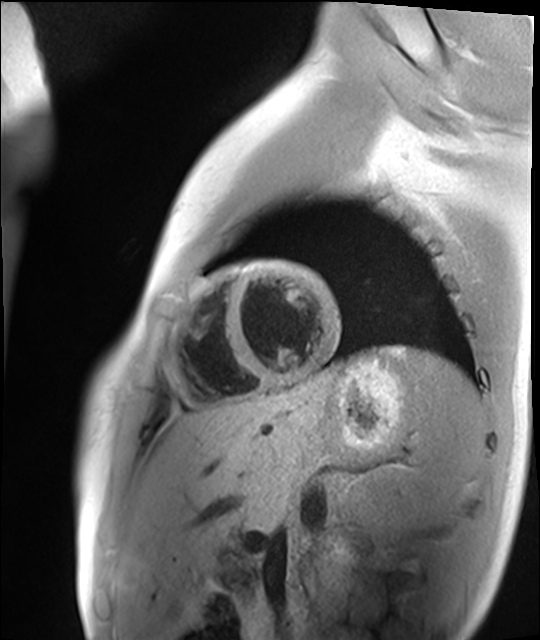
Cardiac MR image of the myocardium. Subject cohort: healthy volunteer.